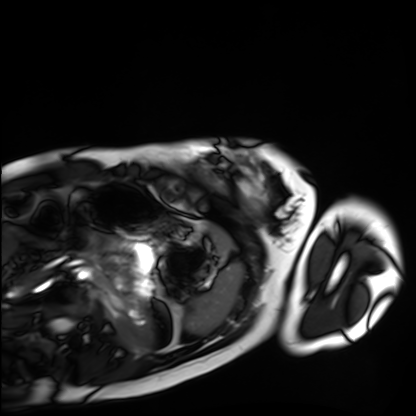
Case summary:
Cardiac MRI. Subject group: healthy volunteer.